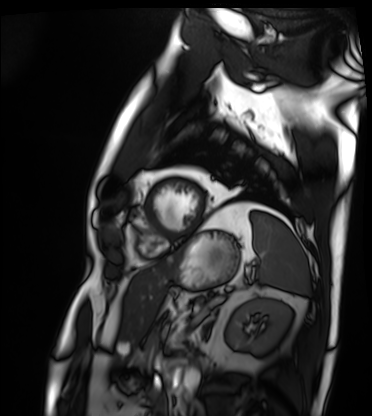
{
  "modality": "cardiac MRI",
  "cohort": "patient"
}